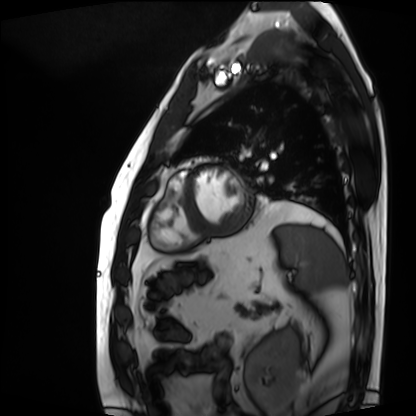
Q: What kind of scan is this?
A: Cardiac MRI.
Subject group: patient.